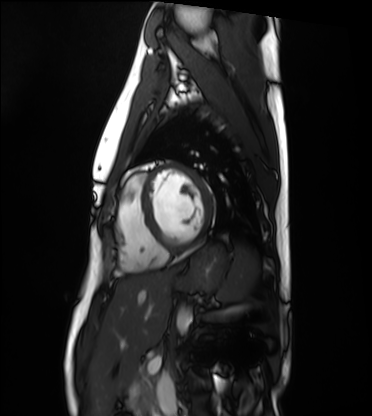
{"modality": "cardiac MRI", "cohort": "healthy volunteer"}